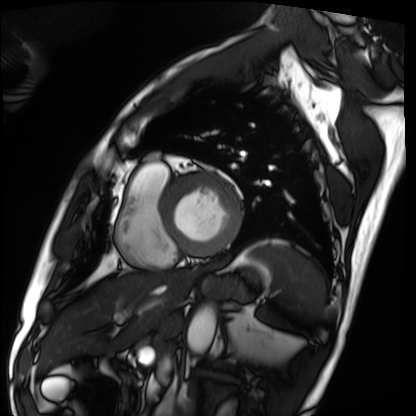
Q: What kind of scan is this?
A: Cardiac MRI.
Subject group: patient.